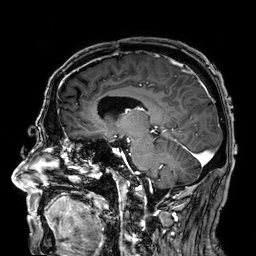
{"modality": {"type": "brain MRI", "field_strength": "3T"}, "study_topic": "ring-enhancing brain masses"}